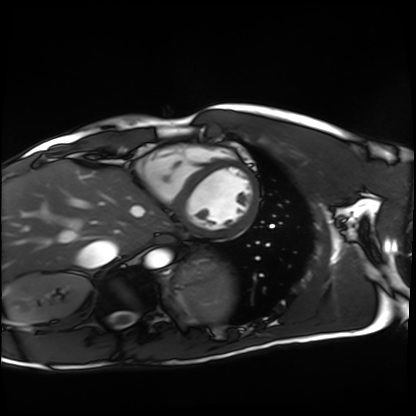
modality: cardiac MRI
cohort: healthy volunteer